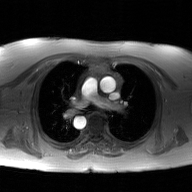
– modality · 2D phase-contrast cine MRI of the ascending aorta, GAN super-resolution reconstruction